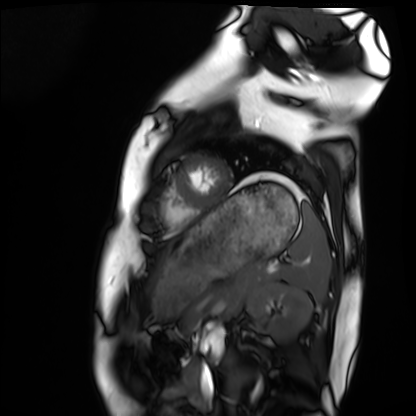
* modality: cardiac MRI
* subject group: healthy volunteer